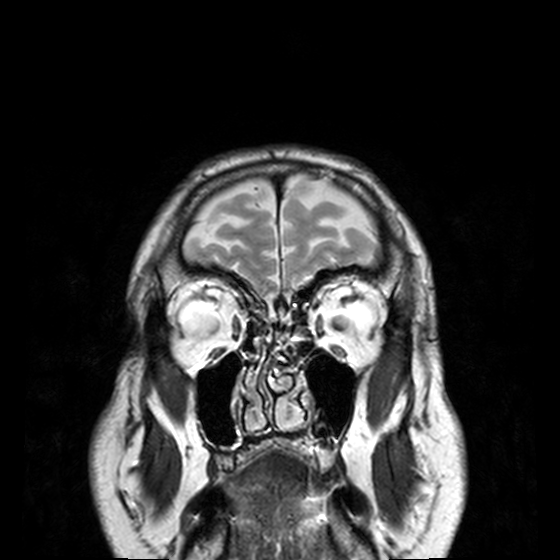
Summary: 3 Tesla brain MRI. Series: T2-weighted turbo spin echo, 3 mm. Study: ring-enhancing brain masses.